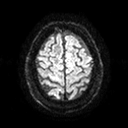
3 Tesla brain MRI. Series: diffusion tensor imaging (medium iso). Study: ring-enhancing brain masses.